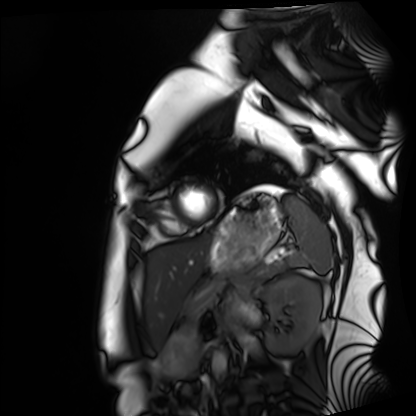
modality = cardiac MRI | subject group = healthy volunteer.